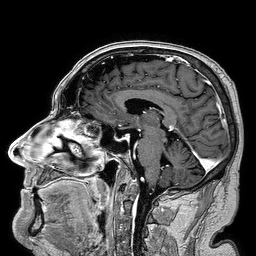
3 Tesla brain MRI.
Series: 3D T1-weighted turbo field echo.
Study: ring-enhancing brain masses.